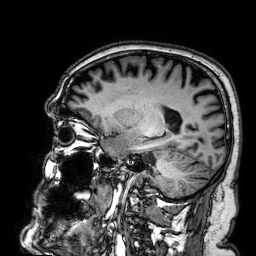
Summary: 3 Tesla brain MRI. Series: 3D T1-weighted. Study: ring-enhancing brain masses.